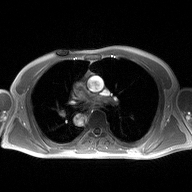
| field | value |
|---|---|
| modality | 2D phase-contrast cine MRI of the ascending aorta |